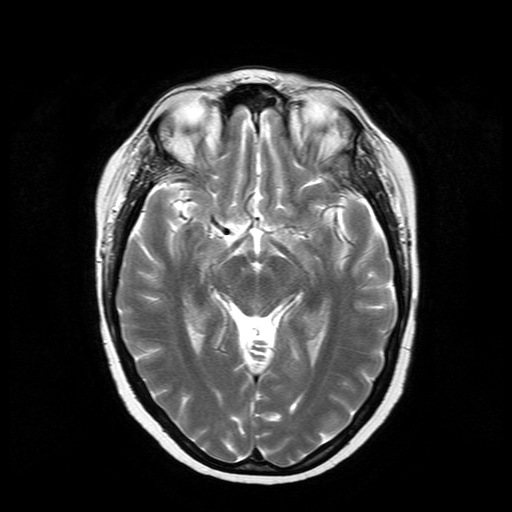
modality: 3 Tesla brain MRI
series: T2-weighted turbo spin echo
study: ring-enhancing brain masses